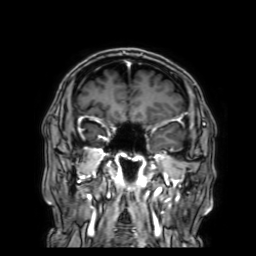
3 Tesla brain MRI.
Series: 3D T1-weighted with SENSE.
Study: ring-enhancing brain masses.